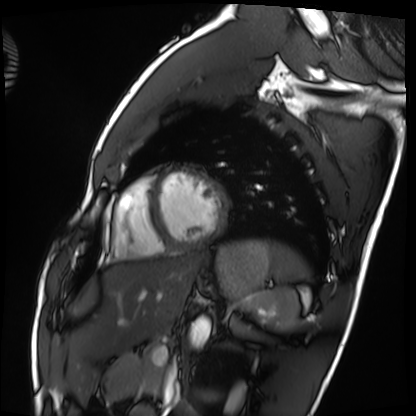
Q: What kind of scan is this?
A: Cardiac MRI.
Subject group: healthy volunteer.